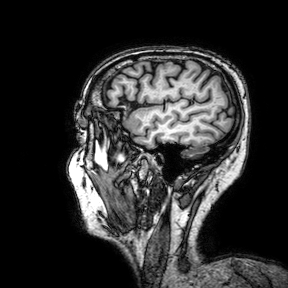
Q: What kind of scan is this?
A: 3 Tesla brain MRI.
Q: Series?
A: 3D T1-weighted turbo field echo with SENSE.
Study: ring-enhancing brain masses.